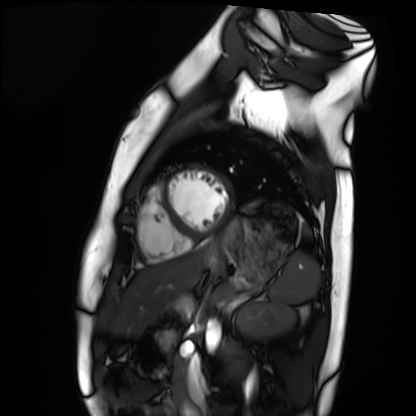
Cardiac MRI. Subject group: healthy volunteer.